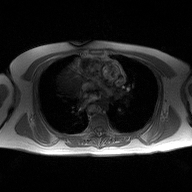
2D phase-contrast cine MRI of the ascending aorta, high-resolution GRAPPA acquisition.